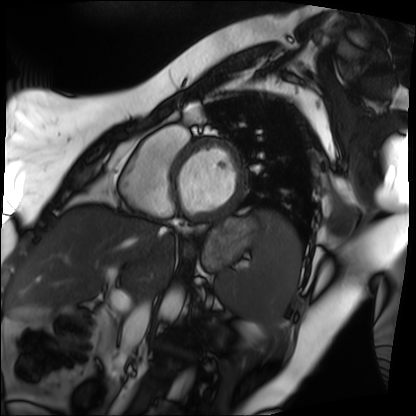
Case:
- modality · cardiac MRI
- subject group · patient